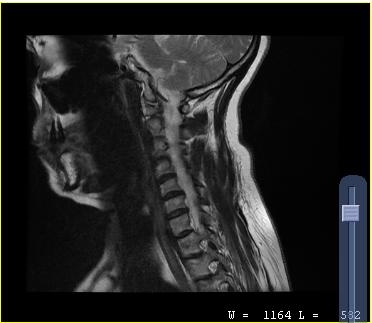
MRI of the cervical spine. Study: cervical spondylosis.